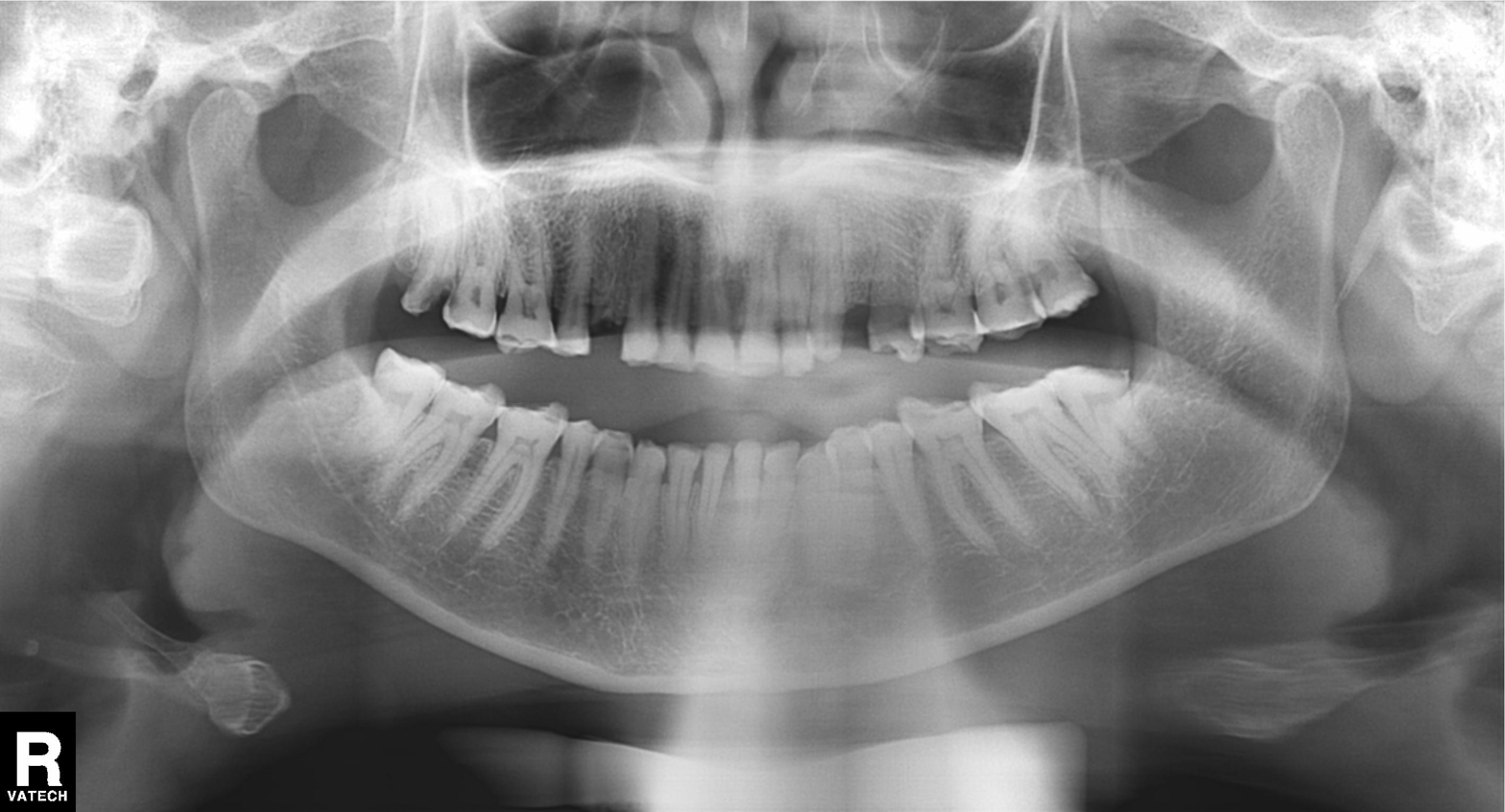
Summary:
Panoramic dental radiograph (orthopantomogram).
Conclusion:
Dental caries (cavities).